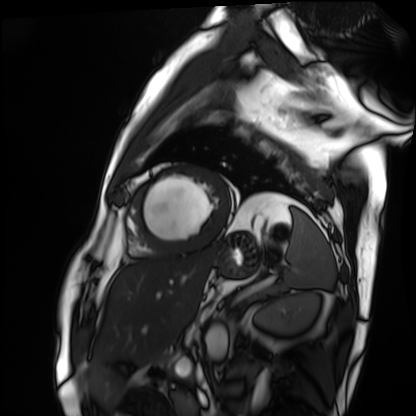
Q: What kind of scan is this?
A: Cardiac MRI.
Subject group: patient.